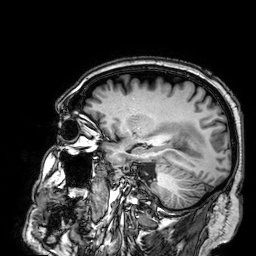
Case summary: 3 Tesla brain MRI. Series: 3D T1-weighted. Study: ring-enhancing brain masses.